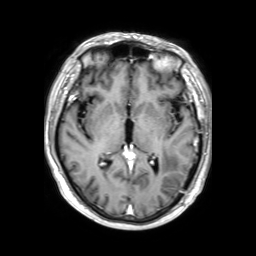
- modality: 3 Tesla brain MRI
- series: 3D T1-weighted TFE with SENSE
- study: ring-enhancing brain masses